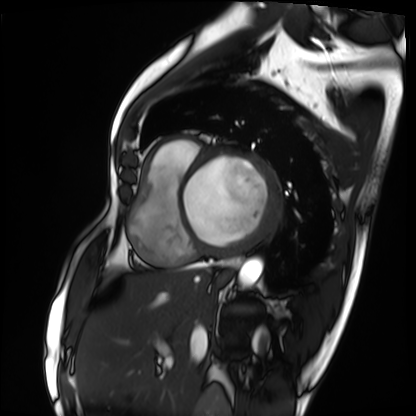
| field | value |
|---|---|
| modality | cardiac MRI |
| subject group | patient |